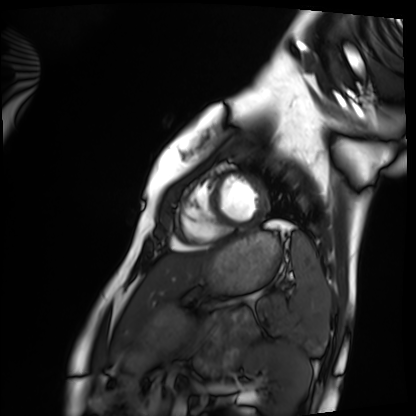
Q: What kind of scan is this?
A: Cardiac MRI.
Subject group: healthy volunteer.